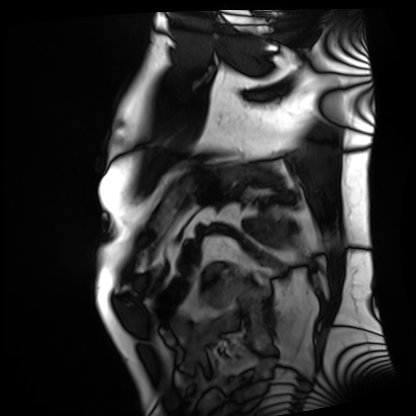
Clinical context:
Cardiac MRI. Subject group: patient.